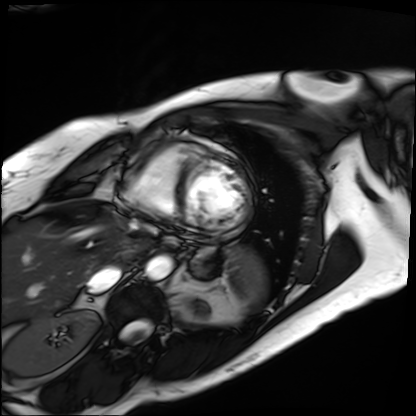
modality: cardiac MRI; subject group: patient.